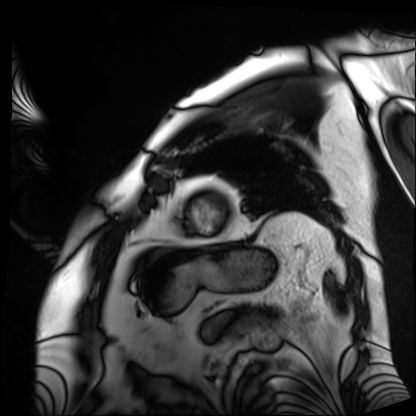
Q: What kind of scan is this?
A: Cardiac MRI.
Subject group: patient.